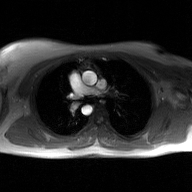
• modality · 2D phase-contrast cine MRI of the ascending aorta, GAN super-resolution reconstruction